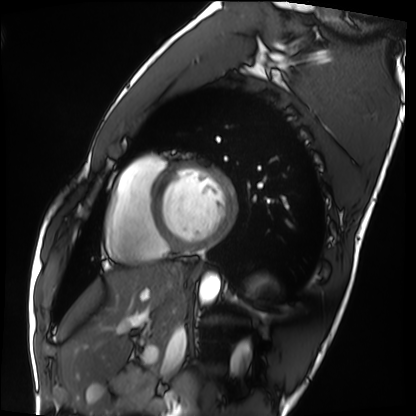
Cardiac MRI.
Subject group: healthy volunteer.